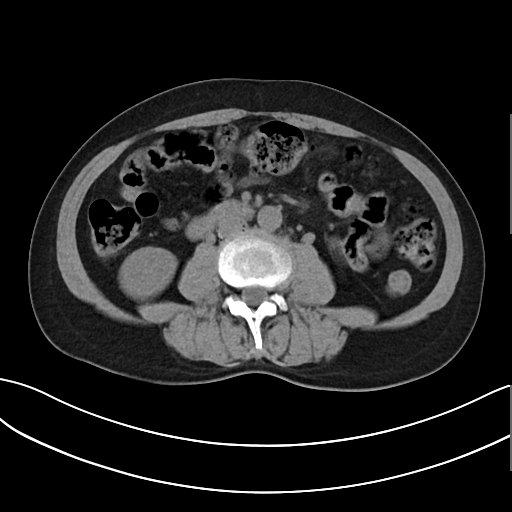
Multiphase abdominal CT, liver, non-contrast phase. Patient: female, age 54. History: prior chemotherapy.